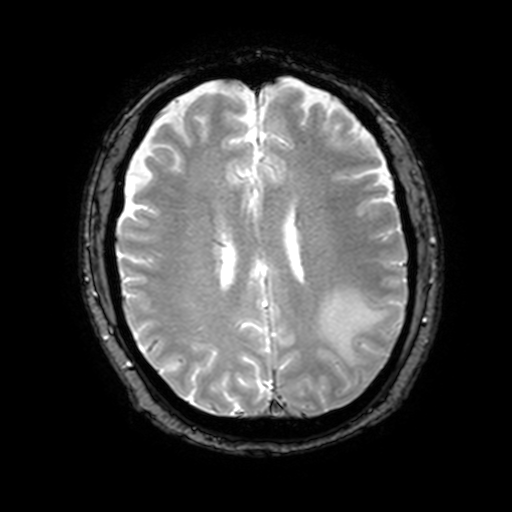
3 Tesla brain MRI.
Series: T2-weighted fast field echo with SENSE.
Study: ring-enhancing brain masses.